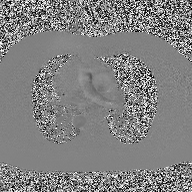
2D phase-contrast cine MRI of the ascending aorta, high-resolution GRAPPA acquisition.